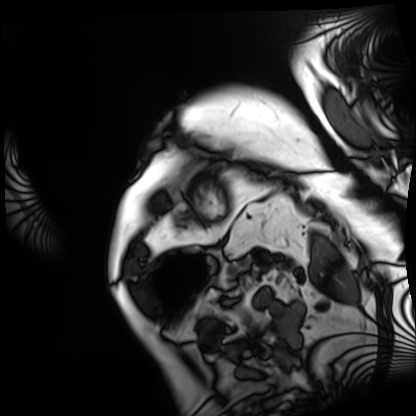
  modality: cardiac MRI
  cohort: patient